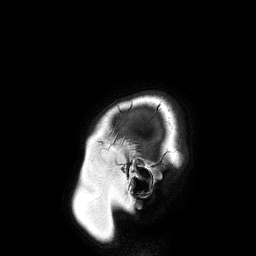
3 Tesla brain MRI.
Series: 3D T1-weighted turbo field echo.
Study: ring-enhancing brain masses.